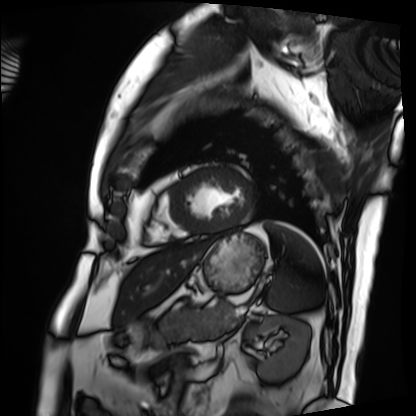
modality — cardiac MRI | subject group — patient.